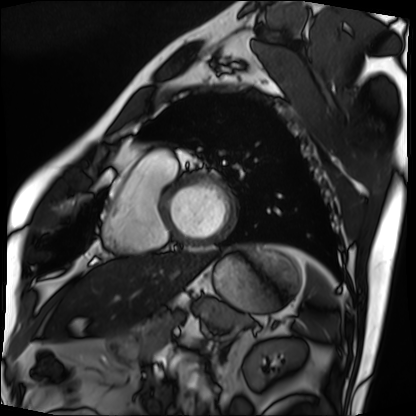
| field | value |
|---|---|
| modality | cardiac MRI |
| subject group | patient |